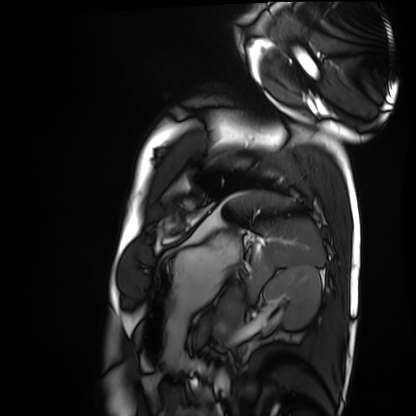
Case summary:
Cardiac MRI. Subject group: healthy volunteer.